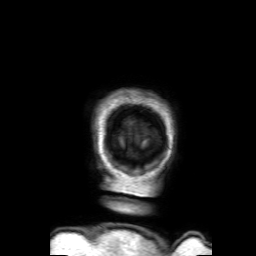
3 Tesla brain MRI.
Series: 3D T1-weighted with SENSE.
Study: ring-enhancing brain masses.